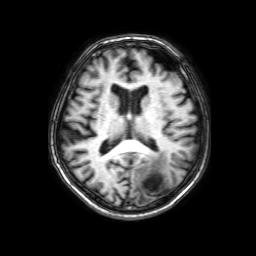
modality: 3 Tesla brain MRI; series: 3D T1-weighted with SENSE; study: ring-enhancing brain masses.